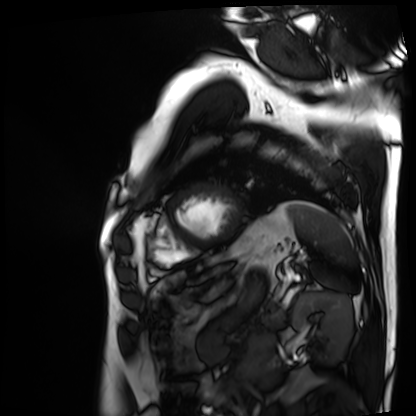
Summary: Cardiac MRI. Subject group: patient.